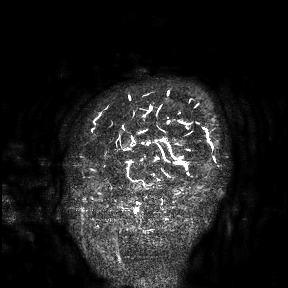
{"modality": {"type": "brain MRI", "field_strength": "3T"}, "study_topic": "ring-enhancing brain masses"}